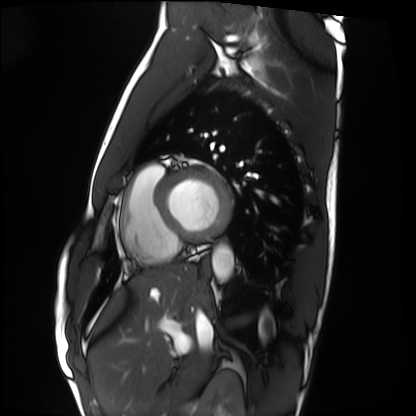
Cardiac MRI. Subject group: healthy volunteer.